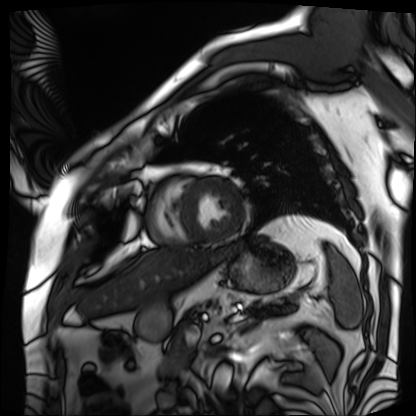
modality: cardiac MRI; subject group: patient.